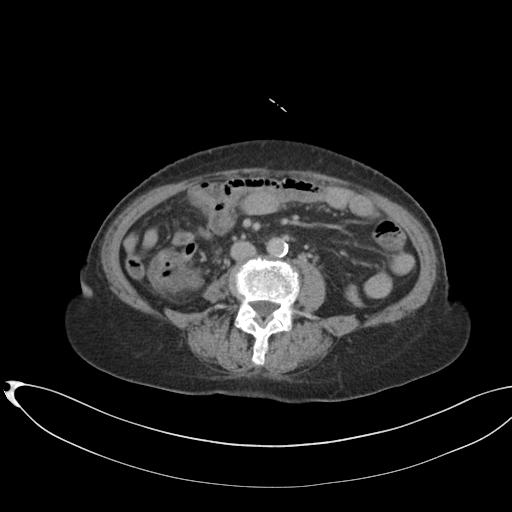
Multiphase abdominal CT, liver, delayed phase.
Patient: female, age 75.